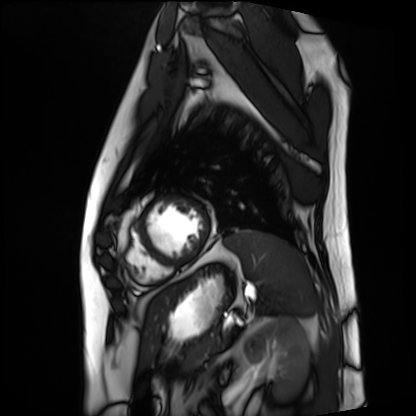
Summary: Cardiac MRI. Subject group: patient.